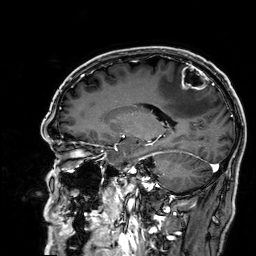
modality = 3 Tesla brain MRI; series = 3D T1-weighted; study = ring-enhancing brain masses.